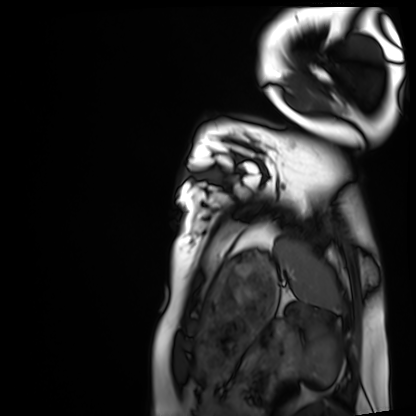
modality: cardiac MRI; subject group: healthy volunteer.